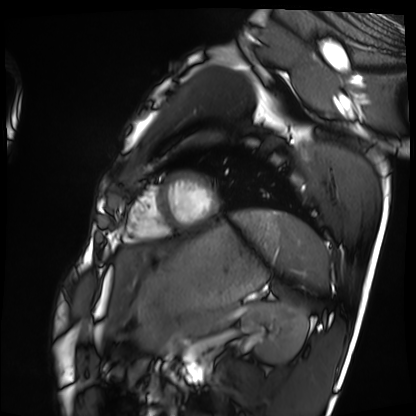
modality = cardiac MRI; subject group = healthy volunteer.